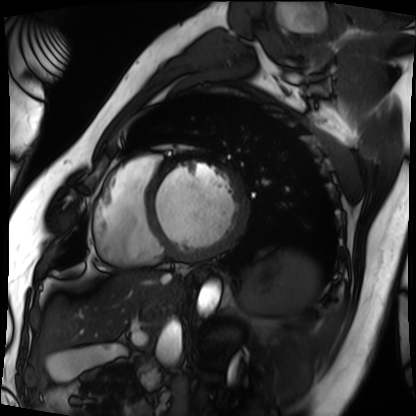
Cardiac MRI. Subject group: patient.